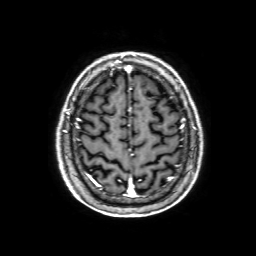
modality: 3 Tesla brain MRI; series: 3D T1-weighted with SENSE; study: ring-enhancing brain masses.